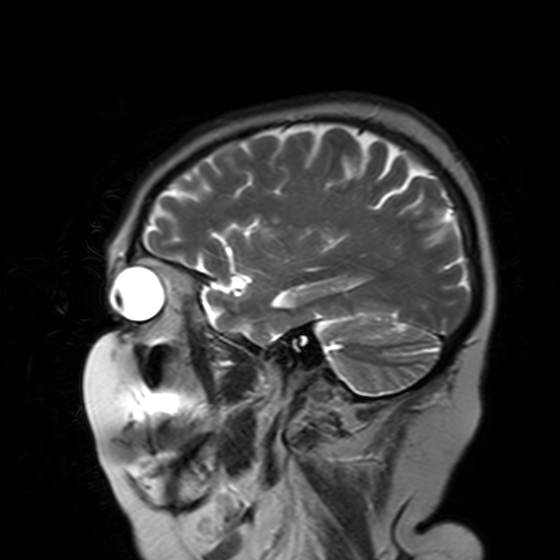
3 Tesla brain MRI. Series: T2-weighted turbo spin echo with SENSE. Study: ring-enhancing brain masses.